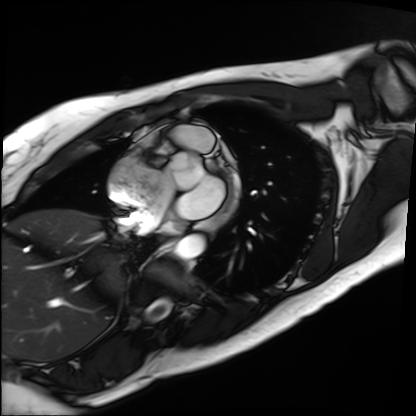
Cardiac MRI. Subject group: patient.